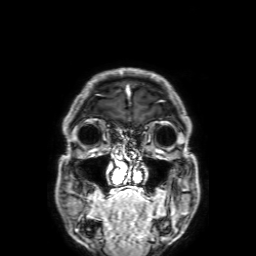
| field | value |
|---|---|
| modality | 3 Tesla brain MRI |
| series | 3D T1-weighted with SENSE |
| study | ring-enhancing brain masses |